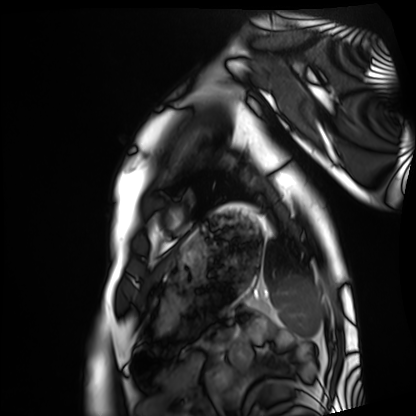
modality: cardiac MRI
cohort: healthy volunteer